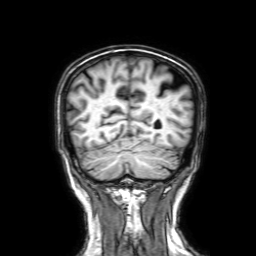
• modality · 3 Tesla brain MRI
• series · 3D T1-weighted with SENSE
• study · ring-enhancing brain masses